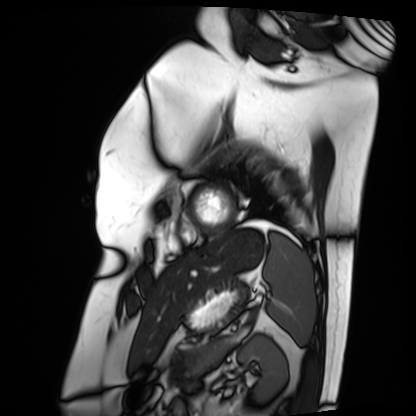
Case summary: Cardiac MRI. Subject group: patient.